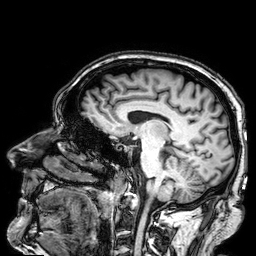
Q: What kind of scan is this?
A: 3 Tesla brain MRI.
Q: Series?
A: 3D T1-weighted.
Study: ring-enhancing brain masses.